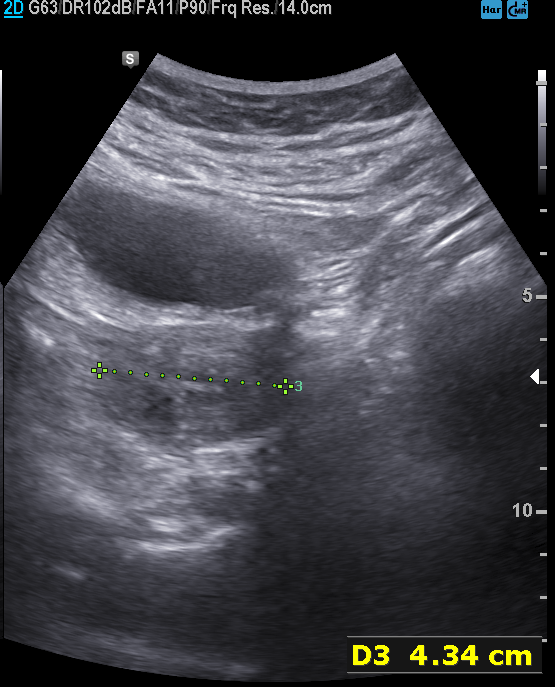
Case summary:
Genitourinary ultrasound.